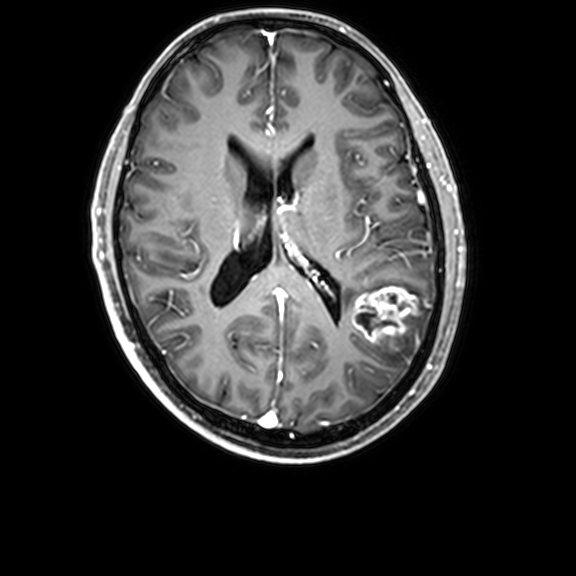
Summary:
3 Tesla brain MRI. Series: 3D T1-weighted with CLEAR. Study: ring-enhancing brain masses.